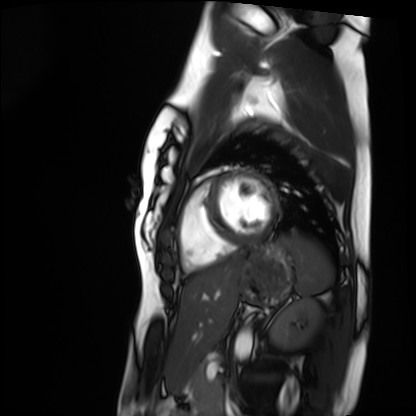
Cardiac MRI.
Subject group: healthy volunteer.